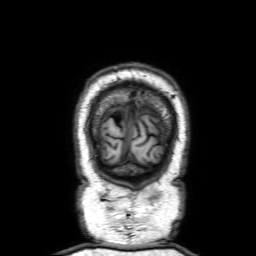
modality = 3 Tesla brain MRI
study = ring-enhancing brain masses